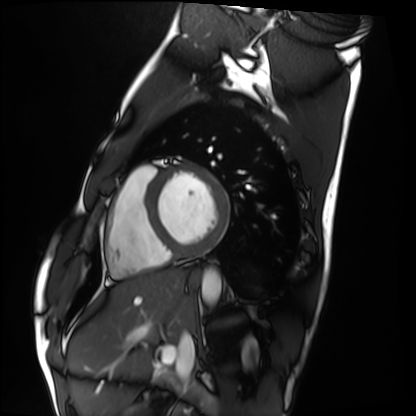
Cardiac MRI. Subject group: healthy volunteer.